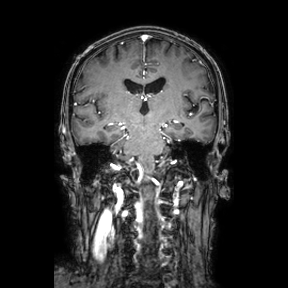
3 Tesla brain MRI.
Series: coronal.
Study: ring-enhancing brain masses.